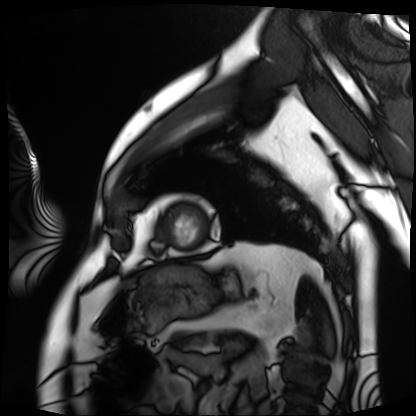
{"modality": "cardiac MRI", "cohort": "patient"}